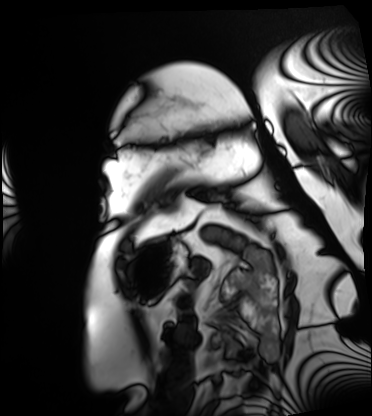
Cardiac MRI. Subject group: patient.